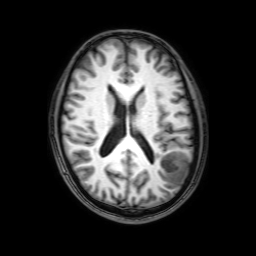
| field | value |
|---|---|
| modality | 3 Tesla brain MRI |
| series | 3D T1-weighted with SENSE |
| study | ring-enhancing brain masses |